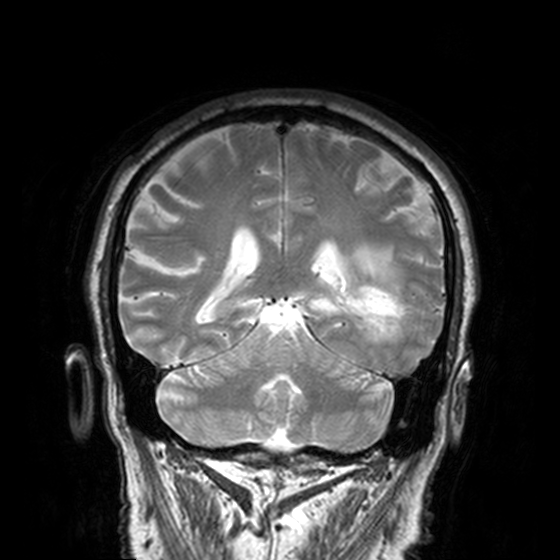
modality = 3 Tesla brain MRI | series = T2-weighted turbo spin echo, 3 mm | study = ring-enhancing brain masses.